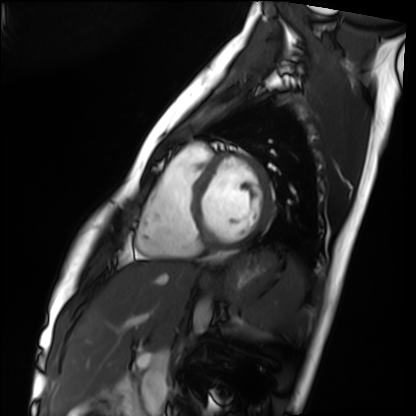
Cardiac MRI. Subject group: healthy volunteer.